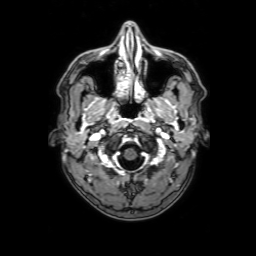
Q: What kind of scan is this?
A: 3 Tesla brain MRI.
Q: Series?
A: 3D T1-weighted with SENSE.
Study: ring-enhancing brain masses.